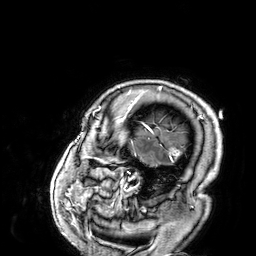
<case>
<modality>
  <type>brain MRI</type>
  <field_strength>3T</field_strength>
</modality>
<series>3D T1-weighted</series>
<study_topic>ring-enhancing brain masses</study_topic>
</case>